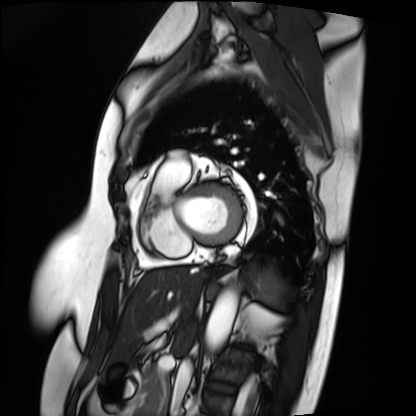
Case summary:
Cardiac MRI. Subject group: patient.